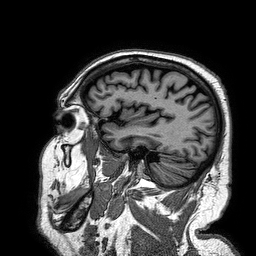
modality: 3 Tesla brain MRI | series: 3D T1-weighted turbo field echo | study: ring-enhancing brain masses.